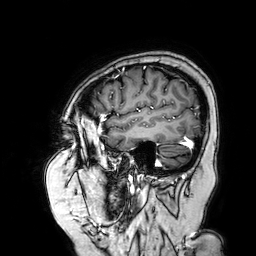
modality: 3 Tesla brain MRI | series: 3D T1-weighted turbo field echo with SENSE | study: ring-enhancing brain masses.